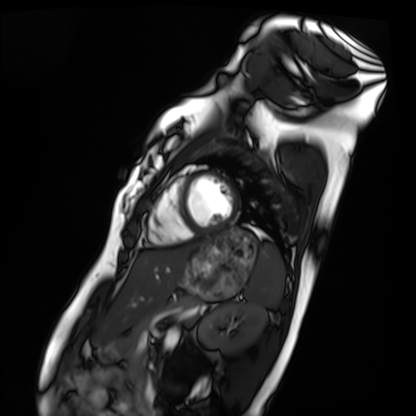
Q: What kind of scan is this?
A: Cardiac MRI.
Subject group: healthy volunteer.